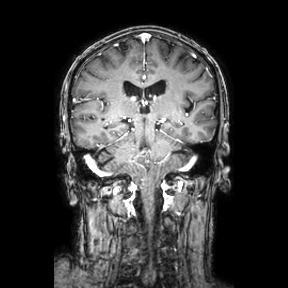
modality = 3 Tesla brain MRI
series = coronal
study = ring-enhancing brain masses